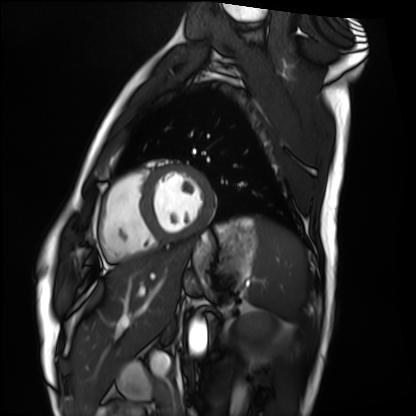
Case summary:
Cardiac MRI. Subject group: healthy volunteer.